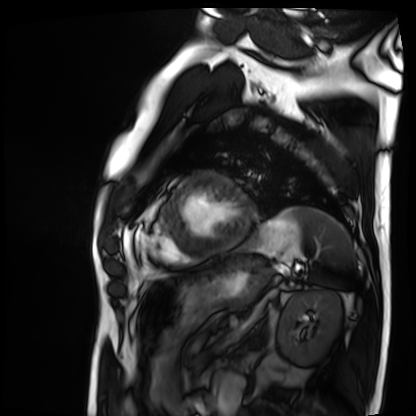
modality: cardiac MRI; subject group: patient.